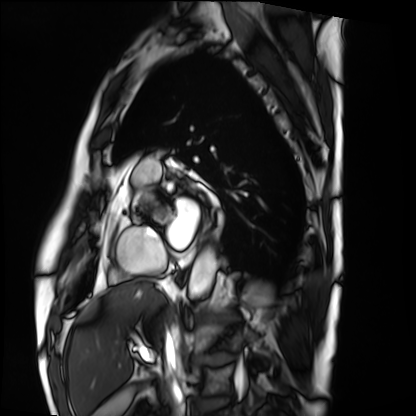
Cardiac MRI. Subject group: patient.